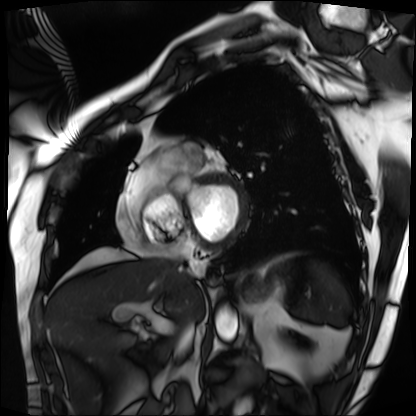
Summary: Cardiac MRI. Subject group: patient.